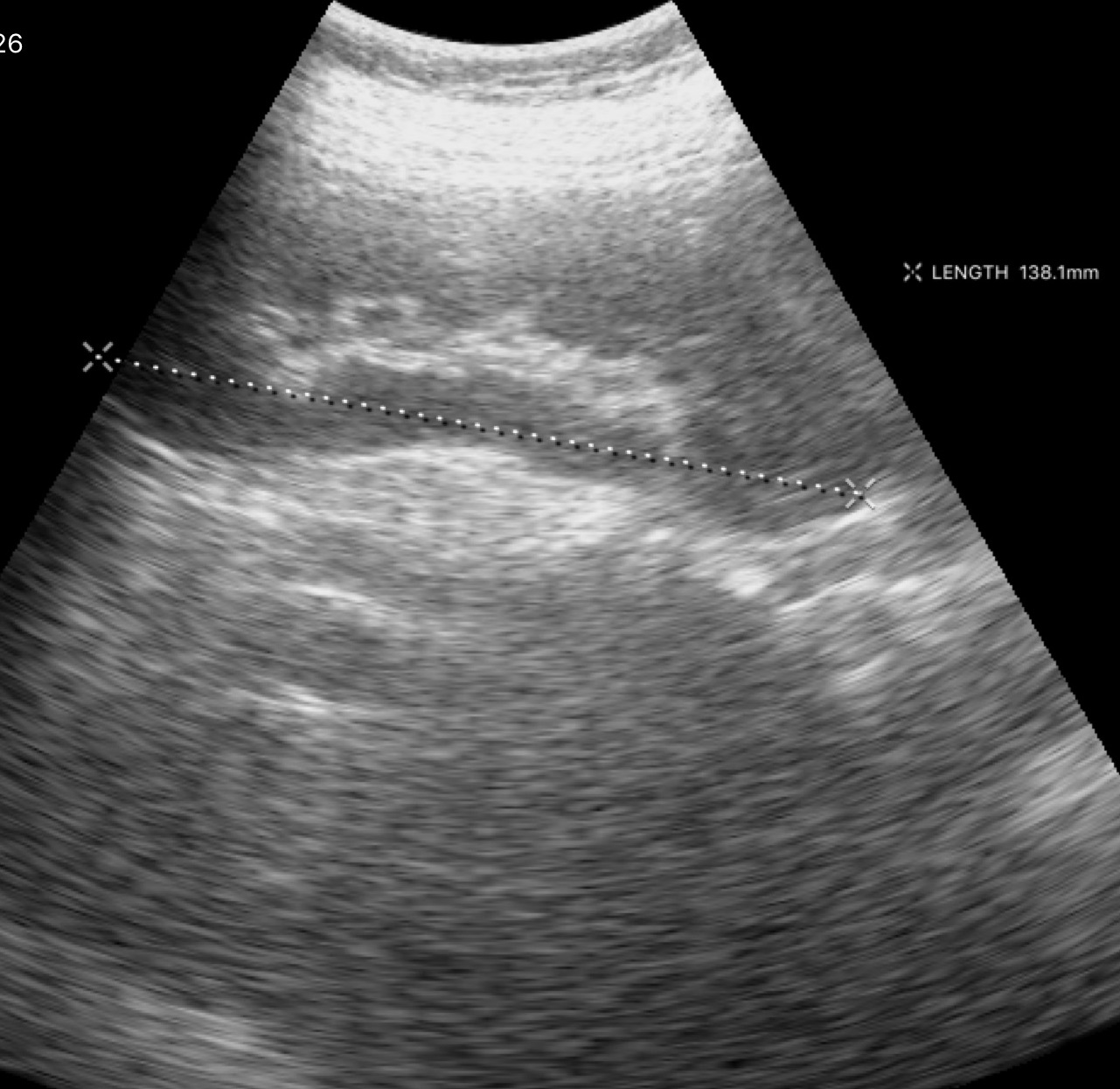
modality: genitourinary ultrasound.